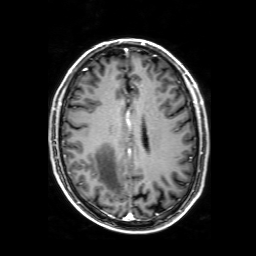
Case summary: 3 Tesla brain MRI. Series: 3D T1-weighted with SENSE. Study: ring-enhancing brain masses.